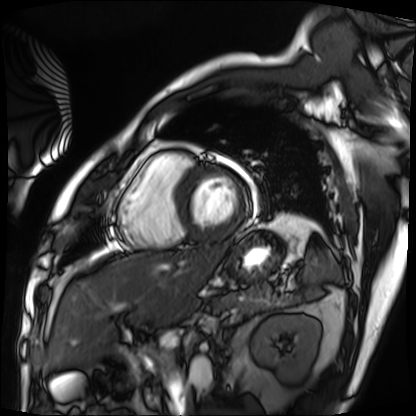
Cardiac MRI. Subject group: patient.